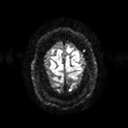
Q: What kind of scan is this?
A: 3 Tesla brain MRI.
Q: Series?
A: Diffusion tensor imaging (medium iso).
Study: ring-enhancing brain masses.